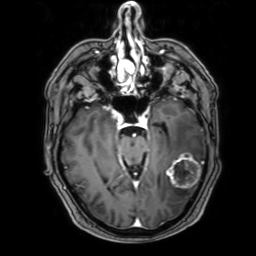
3 Tesla brain MRI.
Series: 3D T1-weighted with SENSE.
Study: ring-enhancing brain masses.